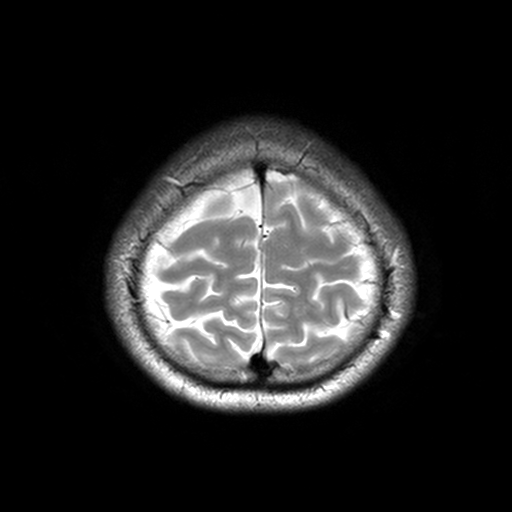
– modality — 3 Tesla brain MRI
– series — T2-weighted turbo spin echo, 3 mm
– study — ring-enhancing brain masses